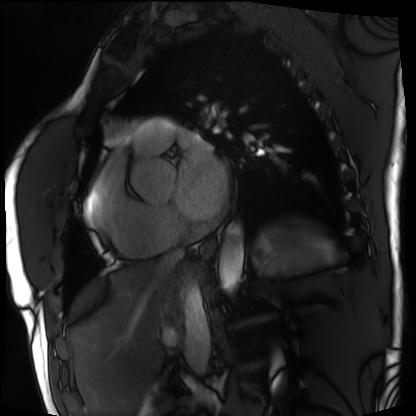
Q: What kind of scan is this?
A: Cardiac MRI.
Subject group: patient.